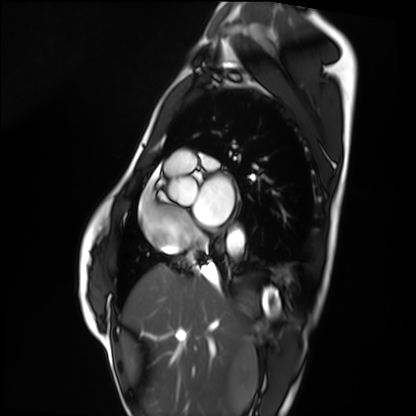
Cardiac MRI. Subject group: healthy volunteer.